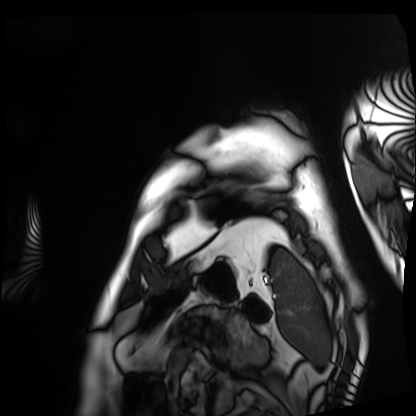
Clinical context:
Cardiac MRI. Subject group: patient.